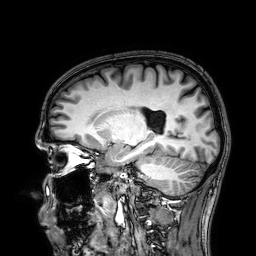
{
  "modality": {
    "type": "brain MRI",
    "field_strength": "3T"
  },
  "series": "3D T1-weighted",
  "study_topic": "ring-enhancing brain masses"
}